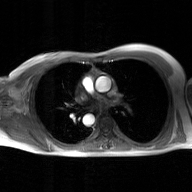
2D phase-contrast cine MRI of the ascending aorta, GAN super-resolution reconstruction.